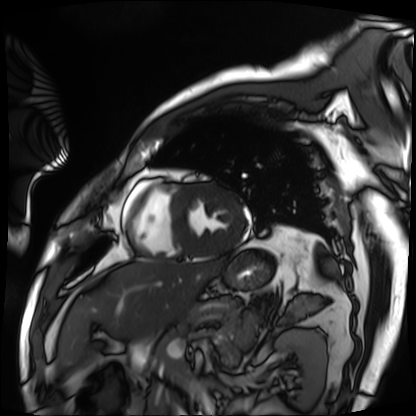
• modality: cardiac MRI
• subject group: patient